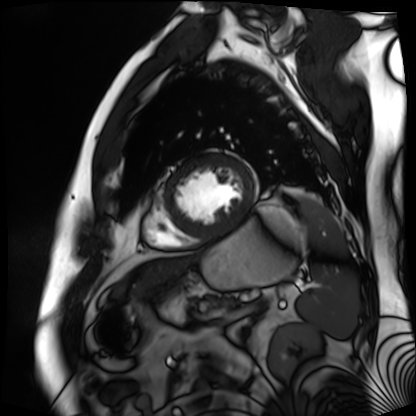
Clinical context: Cardiac MR image of the myocardium. Subject cohort: cardiac patient.